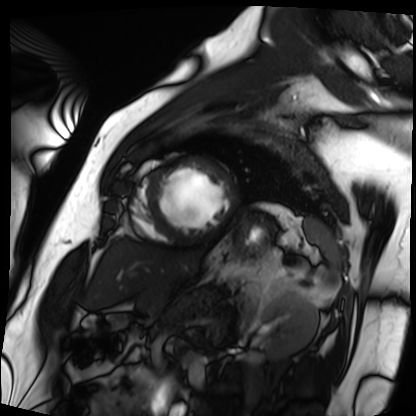
Cardiac MRI. Subject group: patient.